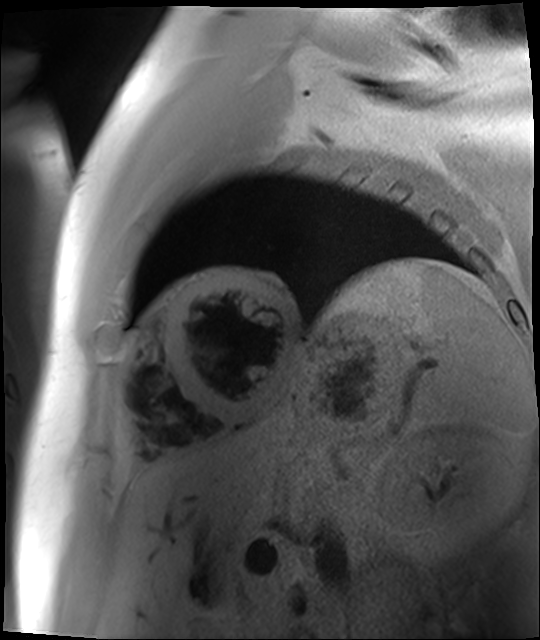
Cardiac MR image of the myocardium. Subject cohort: cardiac patient.